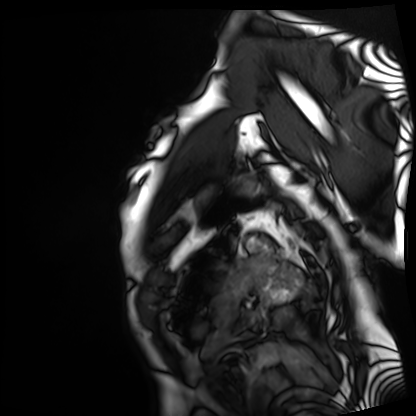
<record>
<modality>cardiac MRI</modality>
<cohort>patient</cohort>
</record>